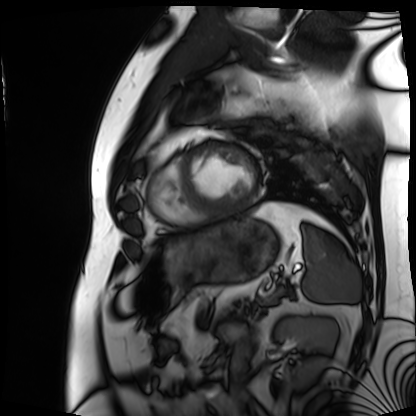
Clinical context:
Cardiac MRI. Subject group: patient.